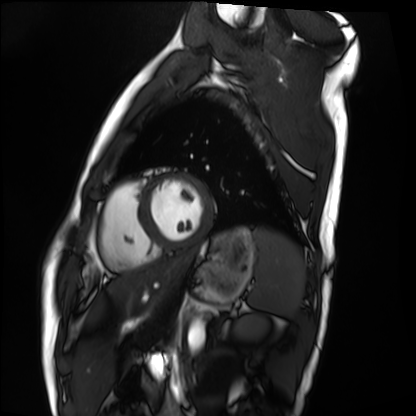
* modality — cardiac MRI
* subject group — healthy volunteer